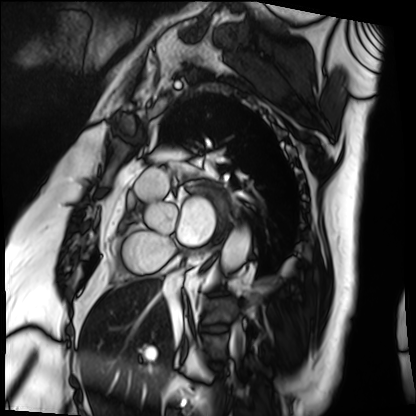
{
  "modality": "cardiac MRI",
  "cohort": "patient"
}